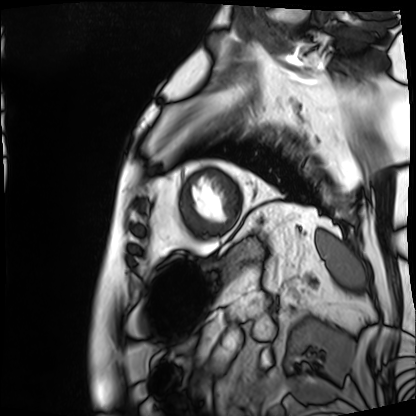
Cardiac MRI.
Subject group: patient.